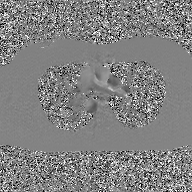
2D phase-contrast cine MRI of the ascending aorta, GAN super-resolution reconstruction.